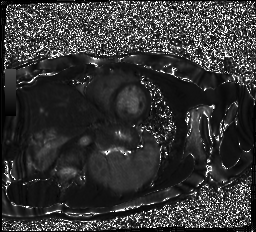
Q: What kind of scan is this?
A: Cardiac MR image of the myocardium.
Subject cohort: healthy volunteer.